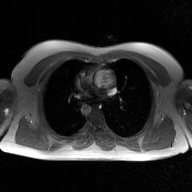
Summary:
2D phase-contrast cine MRI of the ascending aorta, GAN super-resolution reconstruction.